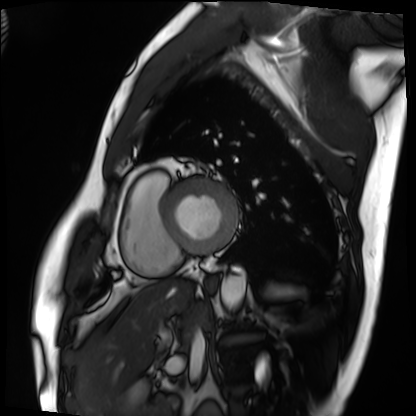
modality — cardiac MRI | subject group — patient.